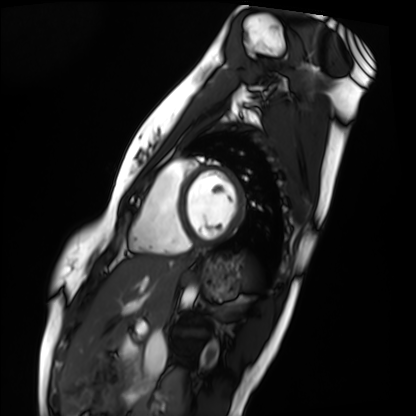
{"modality": "cardiac MRI", "cohort": "healthy volunteer"}